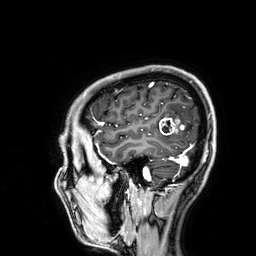
modality=3 Tesla brain MRI
series=3D T1-weighted
study=ring-enhancing brain masses